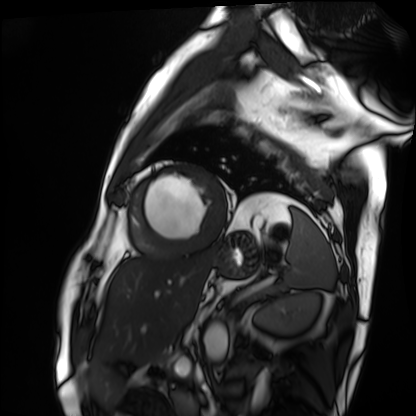
Q: What kind of scan is this?
A: Cardiac MRI.
Subject group: patient.